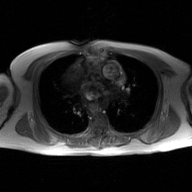
Q: What kind of scan is this?
A: 2D phase-contrast cine MRI of the ascending aorta, GAN super-resolution reconstruction.